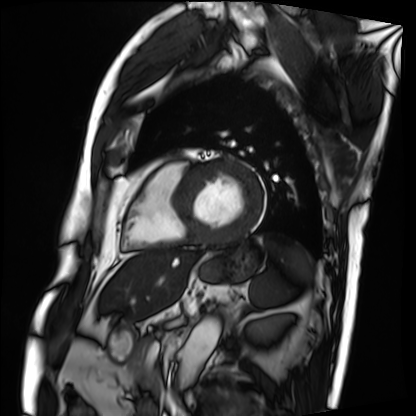
Q: What kind of scan is this?
A: Cardiac MRI.
Subject group: patient.